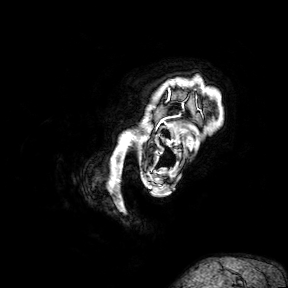
| field | value |
|---|---|
| modality | 3 Tesla brain MRI |
| series | 3D T1-weighted turbo field echo with SENSE |
| study | ring-enhancing brain masses |